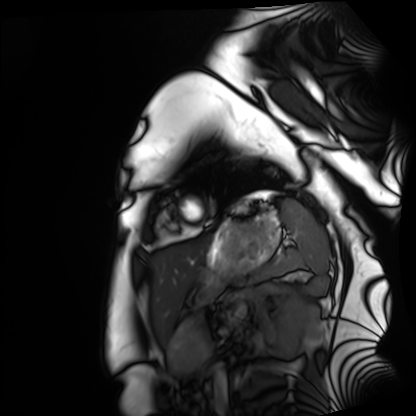
| field | value |
|---|---|
| modality | cardiac MRI |
| subject group | healthy volunteer |